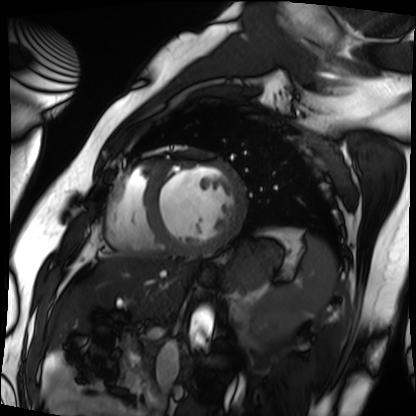
* modality · cardiac MRI
* subject group · patient